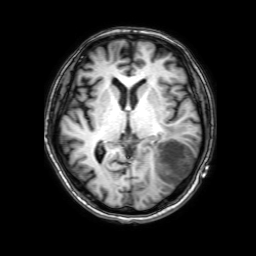
3 Tesla brain MRI. Series: 3D T1-weighted with SENSE. Study: ring-enhancing brain masses.